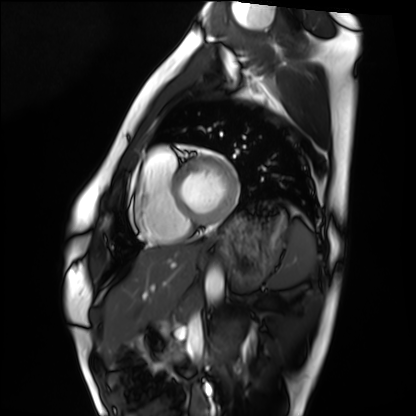
Cardiac MRI.
Subject group: healthy volunteer.